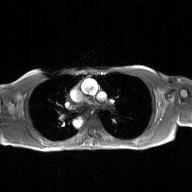
{"modality": {"type": "2D phase-contrast cine MRI", "region": "ascending aorta", "reconstruction": "GAN super-resolution reconstruction"}}